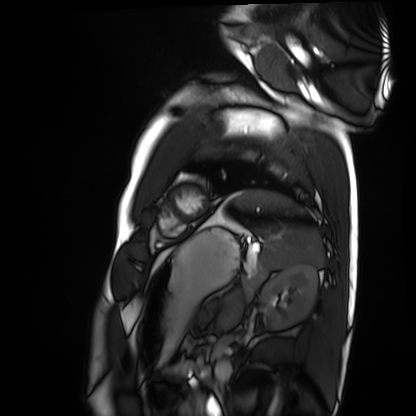
Clinical context: Cardiac MRI. Subject group: healthy volunteer.